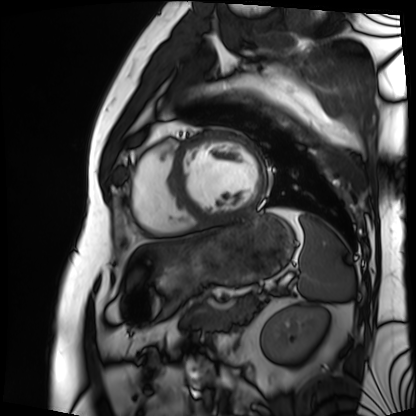
| field | value |
|---|---|
| modality | cardiac MRI |
| subject group | patient |